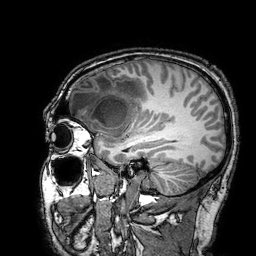
{"modality": {"type": "brain MRI", "field_strength": "3T"}, "series": "3D T1-weighted turbo field echo with SENSE", "study_topic": "ring-enhancing brain masses"}